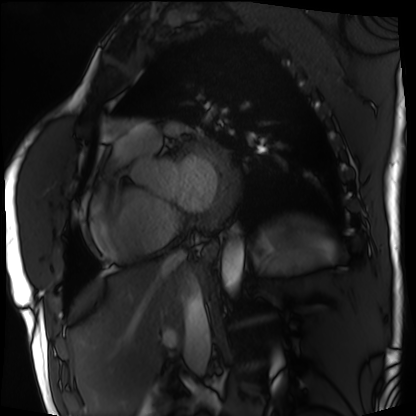
modality — cardiac MRI; subject group — patient.